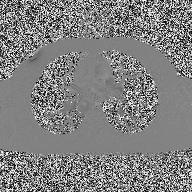
Q: What kind of scan is this?
A: 2D phase-contrast cine MRI of the ascending aorta.